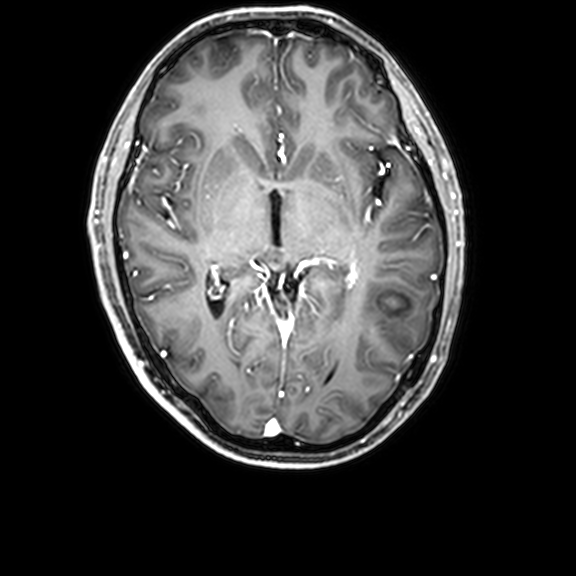
Case summary:
3 Tesla brain MRI. Series: 3D T1-weighted with CLEAR. Study: ring-enhancing brain masses.